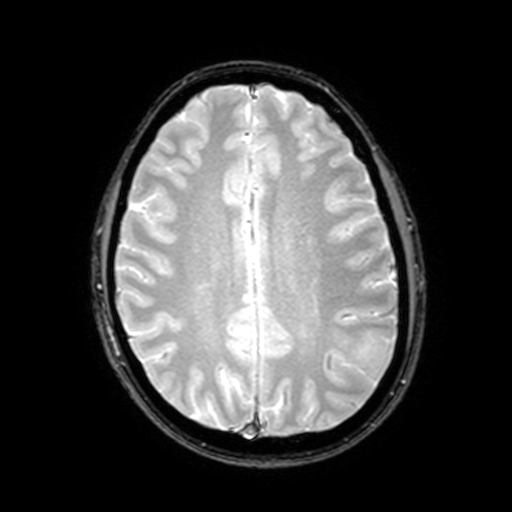
modality: 3 Tesla brain MRI | series: T2-weighted fast field echo with SENSE | study: ring-enhancing brain masses.